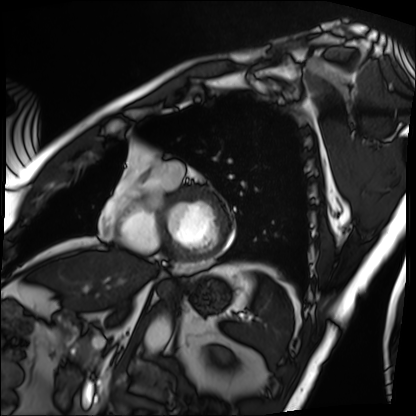
modality = cardiac MRI, subject group = patient.